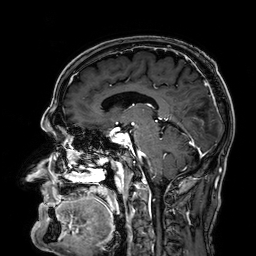
Clinical context:
3 Tesla brain MRI. Series: 3D T1-weighted. Study: ring-enhancing brain masses.